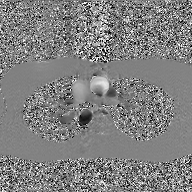
modality = 2D phase-contrast cine MRI of the ascending aorta, GAN super-resolution reconstruction